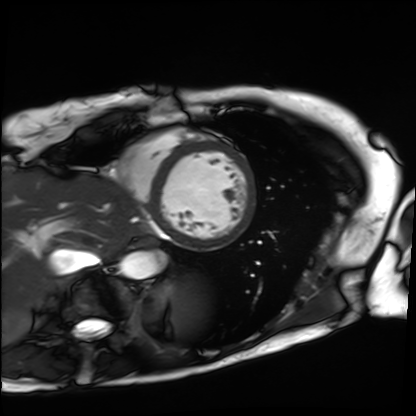
| field | value |
|---|---|
| modality | cardiac MRI |
| subject group | patient |